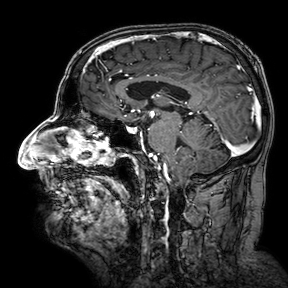
modality:
  type: brain MRI
  field_strength: 3T
series: 3D T1-weighted turbo field echo with SENSE
study_topic: ring-enhancing brain masses